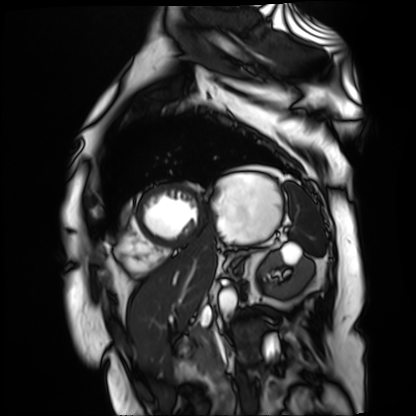
Case summary: Cardiac MR image of the myocardium. Subject cohort: cardiac patient.